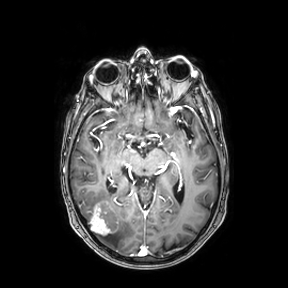
{
  "modality": {
    "type": "brain MRI",
    "field_strength": "3T"
  },
  "series": "axial",
  "study_topic": "ring-enhancing brain masses"
}